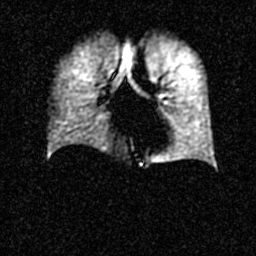
- modality · hyperpolarized 129Xe ventilation MRI of the lungs
- SNR level · 3 of 8 (the deposit holds this scan as its native image and as seven SNR-degraded versions)